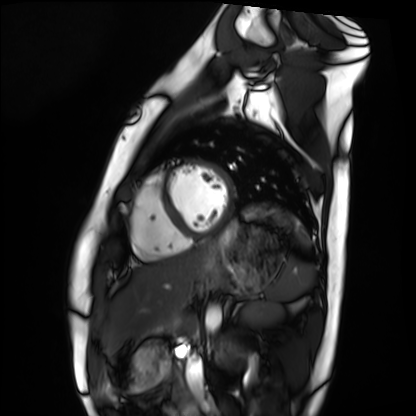
• modality · cardiac MRI
• subject group · healthy volunteer